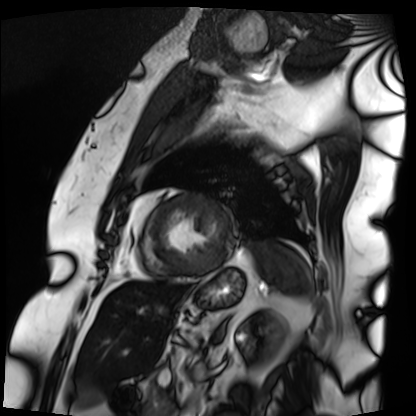
<case>
  <modality>cardiac MRI</modality>
  <cohort>patient</cohort>
</case>